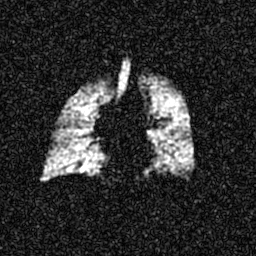
Summary:
Hyperpolarized 129Xe ventilation MRI of the lungs. SNR level 6 of 8 (the deposit holds this scan as its native image and as seven SNR-degraded versions).